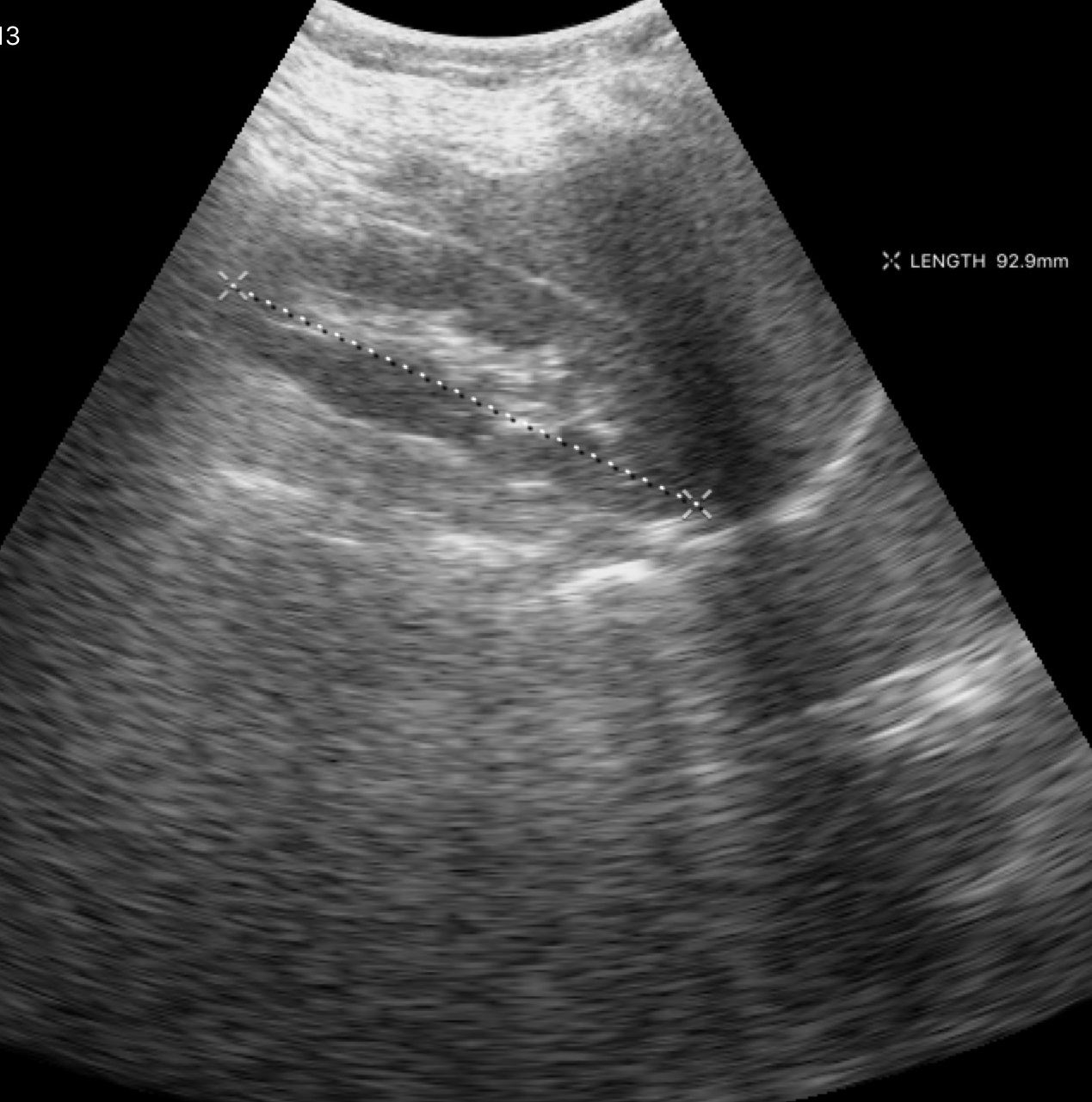
Genitourinary ultrasound.